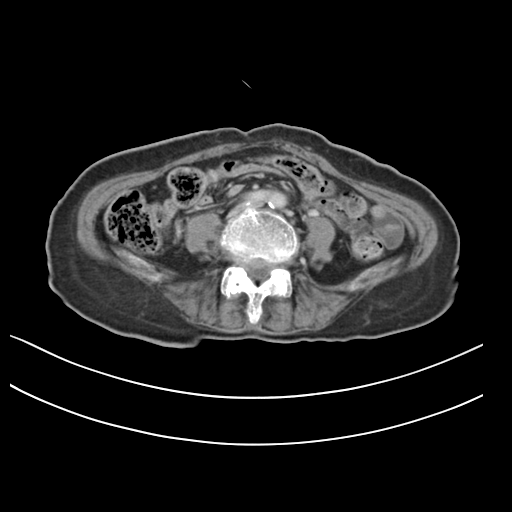
Summary: Multiphase abdominal CT, liver, delayed phase. Patient: female, age 70. History: prior chemotherapy.